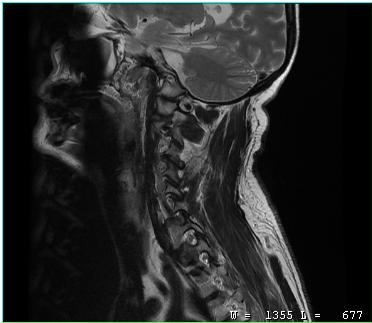
{
  "modality": {
    "type": "cervical spine MRI"
  },
  "study_topic": "cervical spondylosis"
}